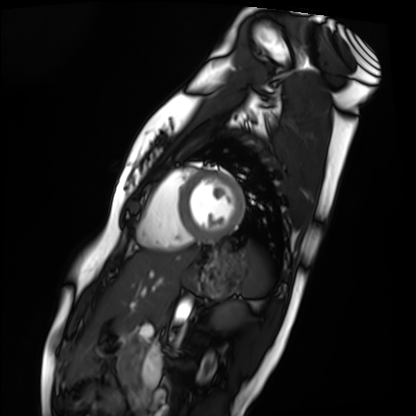
modality: cardiac MRI
subject group: healthy volunteer